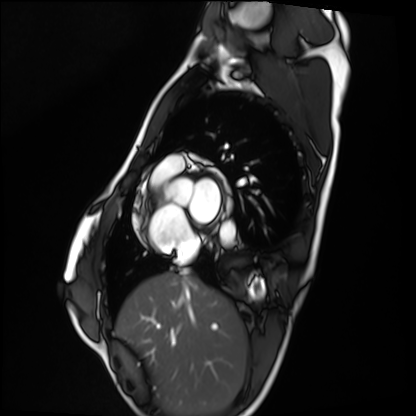
Cardiac MRI. Subject group: healthy volunteer.